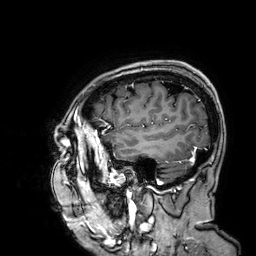
modality: 3 Tesla brain MRI
study: ring-enhancing brain masses